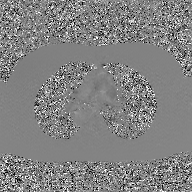
2D phase-contrast cine MRI of the ascending aorta, GAN super-resolution reconstruction.